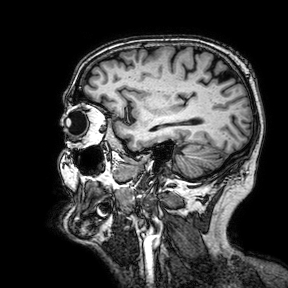
3 Tesla brain MRI.
Series: 3D T1-weighted turbo field echo with SENSE.
Study: ring-enhancing brain masses.